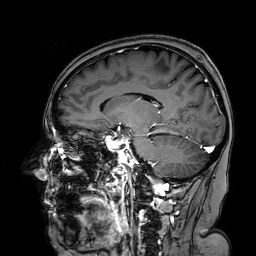
Q: What kind of scan is this?
A: 3 Tesla brain MRI.
Q: Series?
A: 3D T1-weighted turbo field echo with SENSE.
Study: ring-enhancing brain masses.